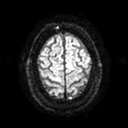
modality: 3 Tesla brain MRI; series: diffusion tensor imaging (medium iso); study: ring-enhancing brain masses.